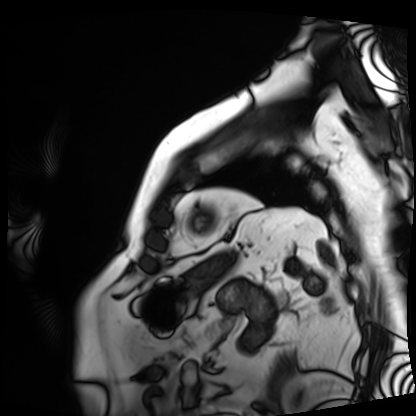
{"modality": "cardiac MRI", "cohort": "patient"}